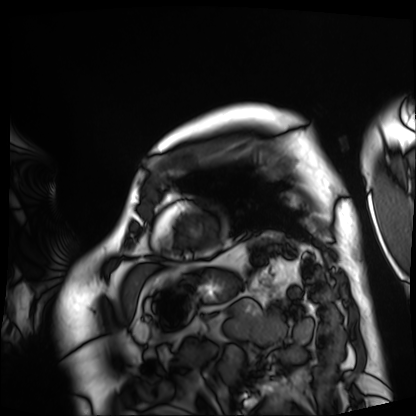
Cardiac MRI. Subject group: patient.